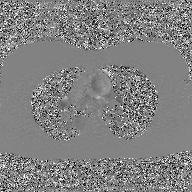
2D phase-contrast cine MRI of the ascending aorta, GAN super-resolution reconstruction.